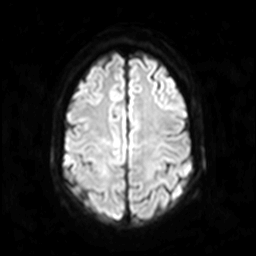
3 Tesla brain MRI.
Series: diffusion-weighted imaging.
Study: ring-enhancing brain masses.